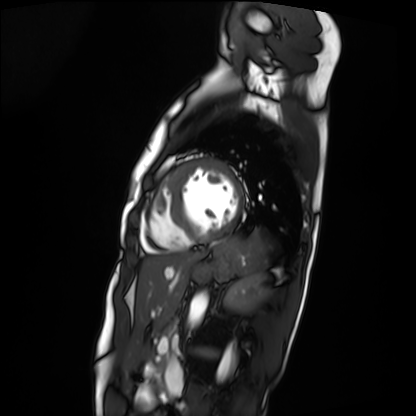
| field | value |
|---|---|
| modality | cardiac MRI |
| subject group | patient |